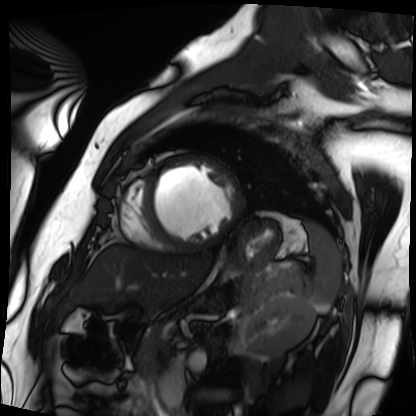
{
  "modality": "cardiac MRI",
  "cohort": "patient"
}